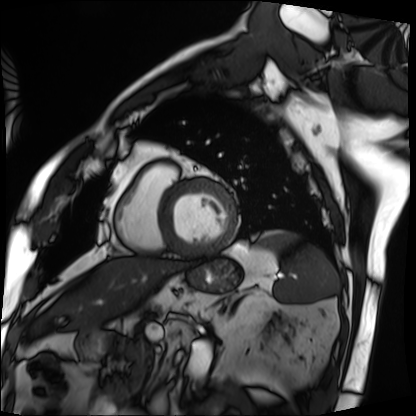
<case>
<modality>cardiac MRI</modality>
<cohort>patient</cohort>
</case>